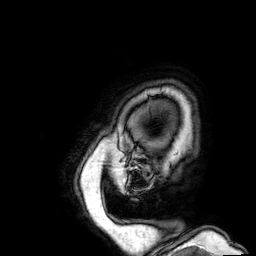
Case summary:
3 Tesla brain MRI. Series: 3D T1-weighted. Study: ring-enhancing brain masses.